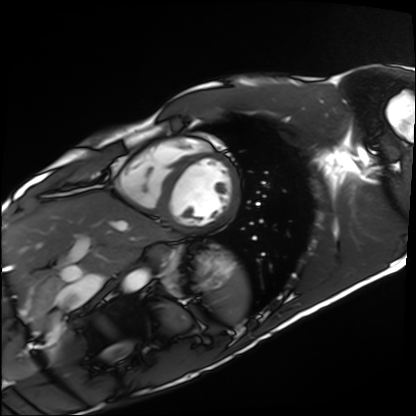
  modality: cardiac MRI
  cohort: healthy volunteer